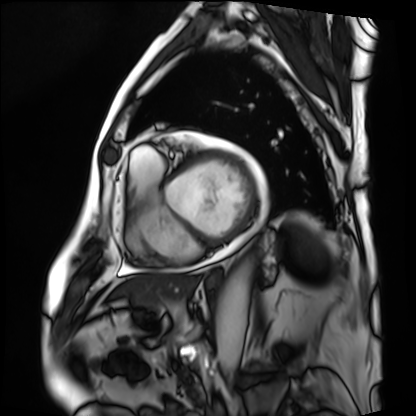
- modality · cardiac MRI
- subject group · patient